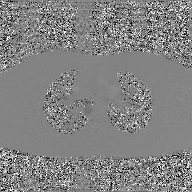
modality=2D phase-contrast cine MRI of the ascending aorta, GAN super-resolution reconstruction.